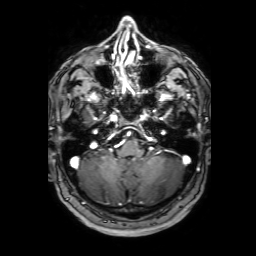
Case:
– modality · 3 Tesla brain MRI
– series · 3D T1-weighted with SENSE
– study · ring-enhancing brain masses